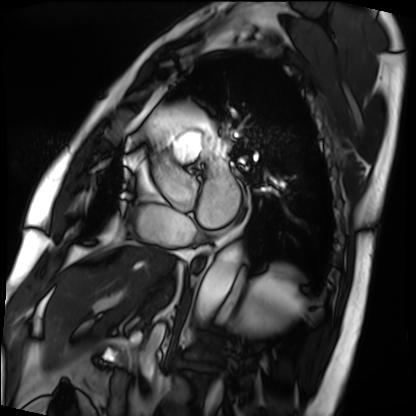
modality — cardiac MRI
subject group — patient